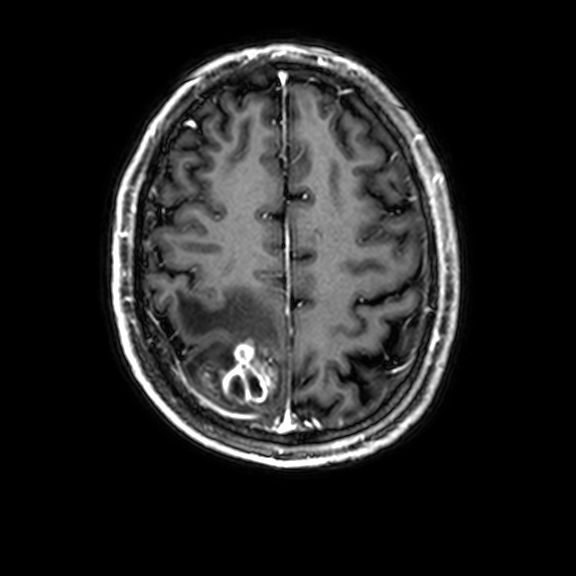
Clinical context: 3 Tesla brain MRI. Series: 3D T1-weighted with CLEAR. Study: ring-enhancing brain masses.